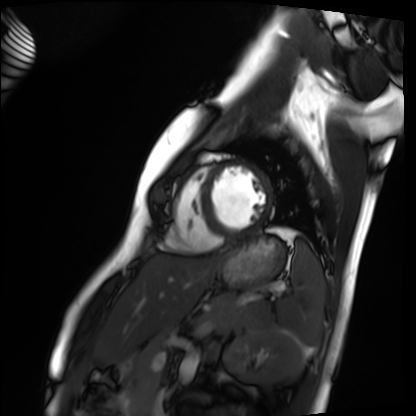
modality = cardiac MRI | subject group = healthy volunteer.